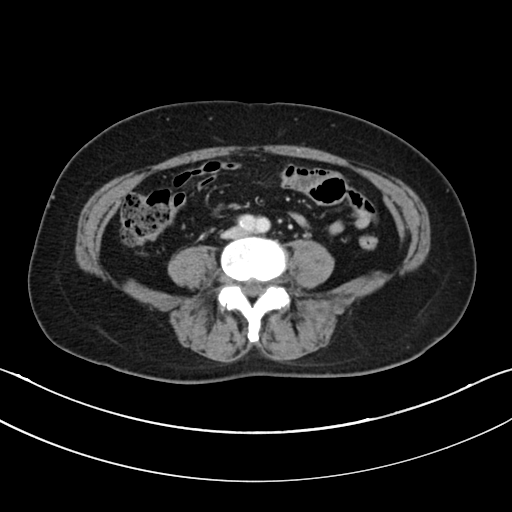
modality = multiphase abdominal CT, liver, portal venous phase; patient = female, age 63.